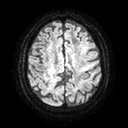
Case summary: 3 Tesla brain MRI. Series: diffusion tensor imaging (medium iso). Study: ring-enhancing brain masses.